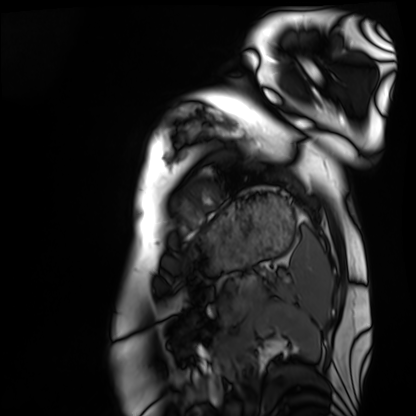
Cardiac MRI. Subject group: healthy volunteer.